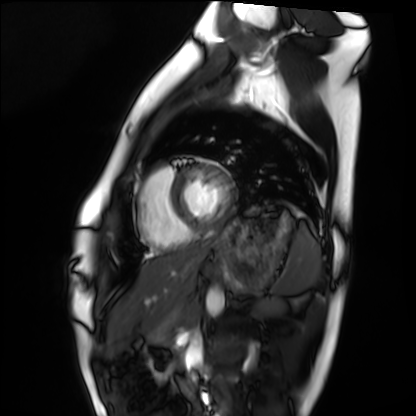
Cardiac MRI.
Subject group: healthy volunteer.